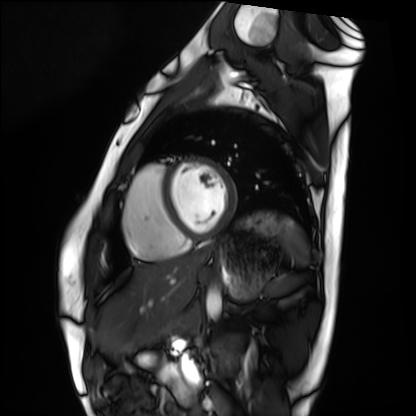
Cardiac MRI.
Subject group: healthy volunteer.